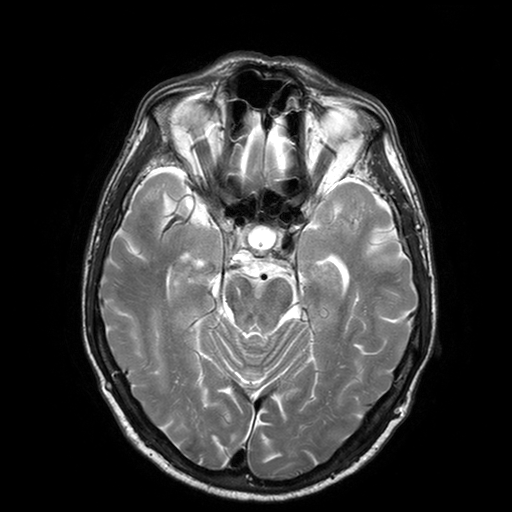
3 Tesla brain MRI. Series: T2-weighted turbo spin echo with SENSE. Study: ring-enhancing brain masses.